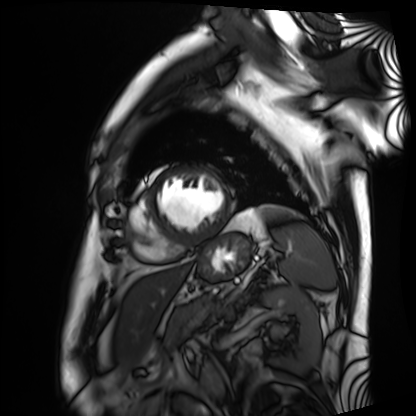
Cardiac MRI.
Subject group: patient.